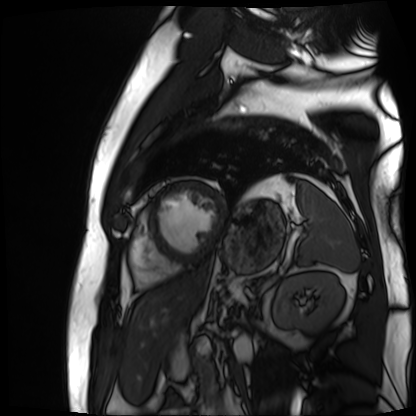
Case:
- modality · cardiac MR image of the myocardium
- subject cohort · cardiac patient